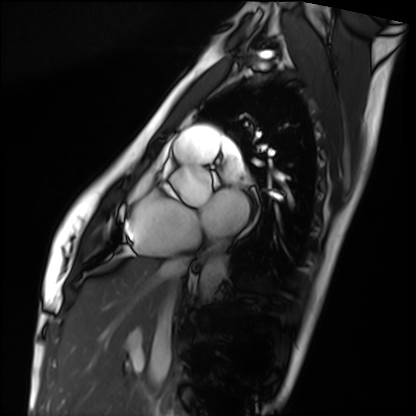
Clinical context:
Cardiac MRI. Subject group: healthy volunteer.